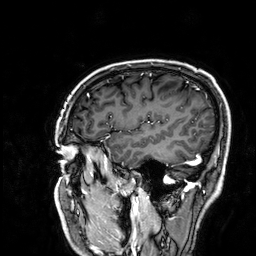
3 Tesla brain MRI.
Series: 3D T1-weighted.
Study: ring-enhancing brain masses.